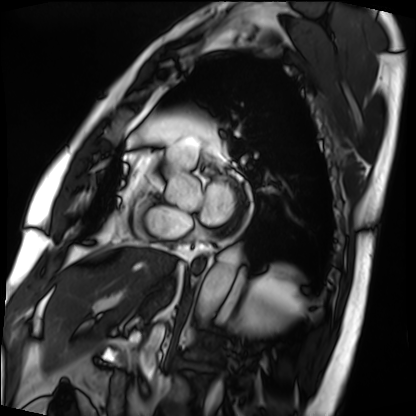
Summary:
Cardiac MRI. Subject group: patient.